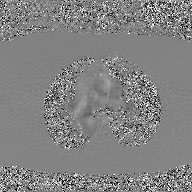
2D phase-contrast cine MRI of the ascending aorta, GAN super-resolution reconstruction.